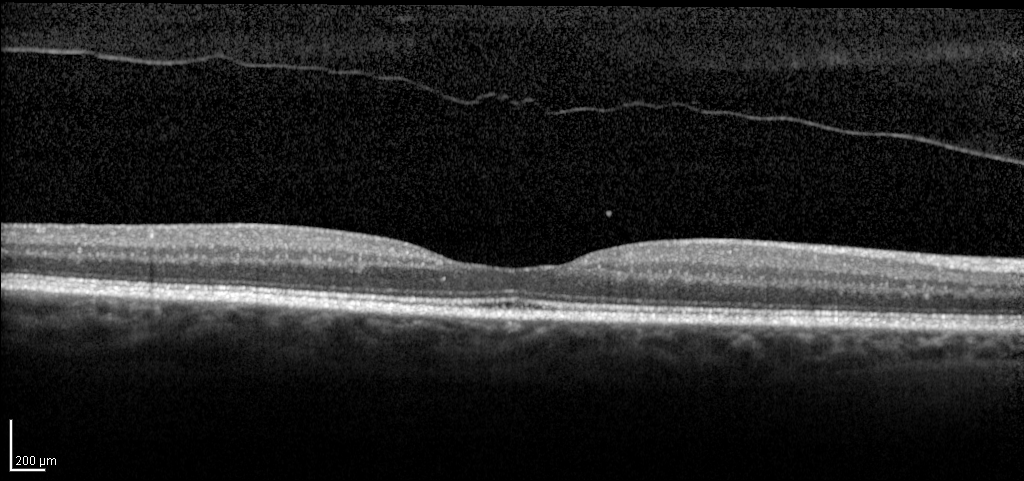
Spectral-domain optical coherence tomography (SD-OCT) of the macula.
Subject: female, age 65, right eye.
Cohort: non-diabetic control.
ETDRS-grid retinal thickness (μm): central 233, inner temporal 304, inner nasal 318, inner superior 312, inner inferior 315, outer temporal 272, outer nasal 289, outer superior 285, outer inferior 279.